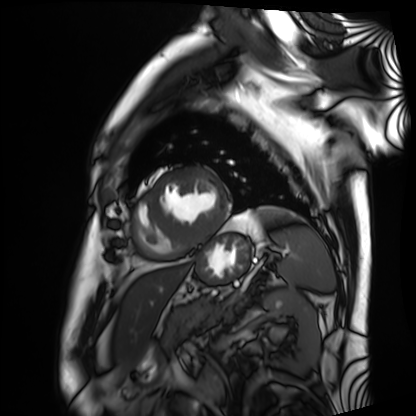
Clinical context:
Cardiac MRI. Subject group: patient.